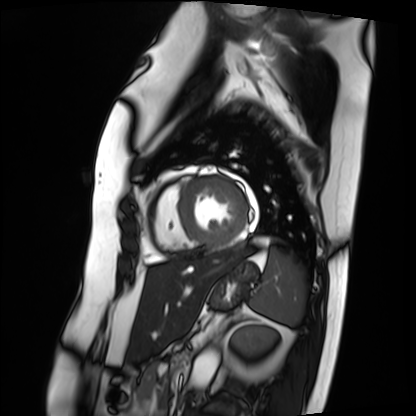
Cardiac MRI. Subject group: patient.